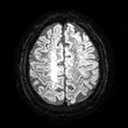
  modality:
    type: brain MRI
    field_strength: 3T
  series: diffusion tensor imaging (medium iso)
  study_topic: ring-enhancing brain masses